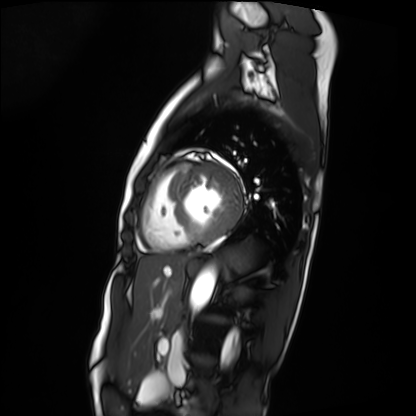
Q: What kind of scan is this?
A: Cardiac MRI.
Subject group: patient.